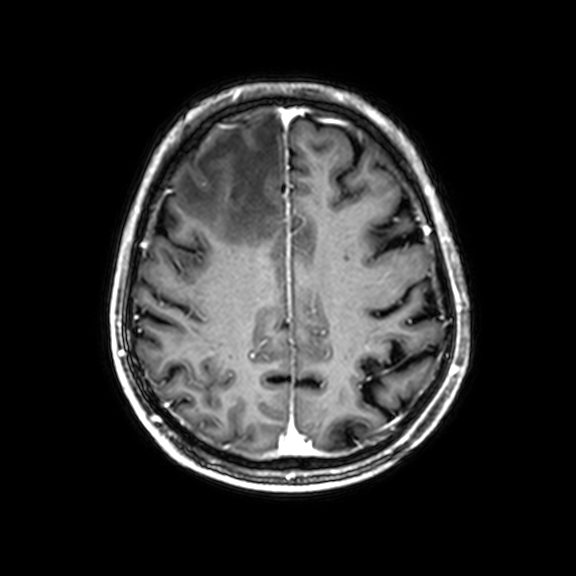
3 Tesla brain MRI. Series: 3D T1-weighted with CLEAR. Study: ring-enhancing brain masses.